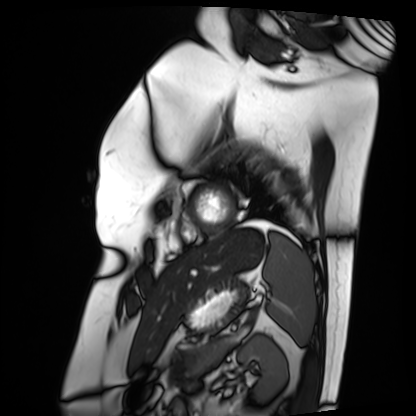
Case summary: Cardiac MRI. Subject group: patient.